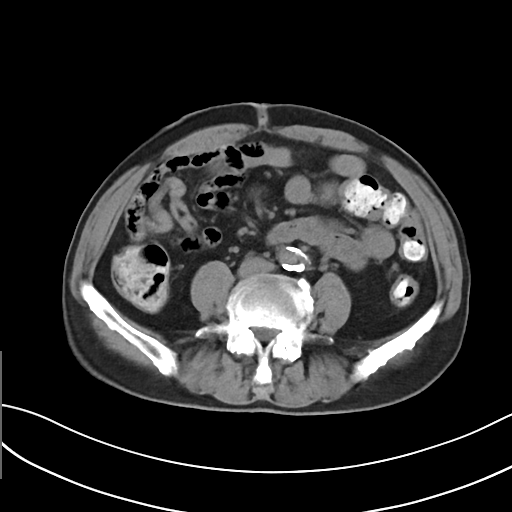
Multiphase abdominal CT, liver, non-contrast phase.
Patient: male, age 76.